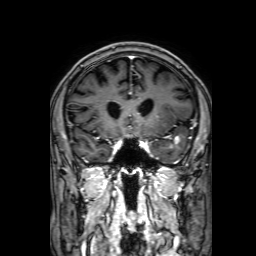
* modality · 3 Tesla brain MRI
* series · 3D T1-weighted with SENSE
* study · ring-enhancing brain masses